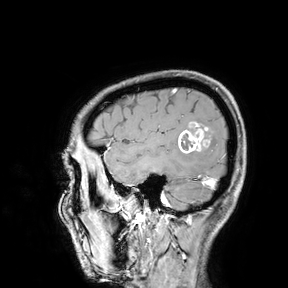
modality:
  type: brain MRI
  field_strength: 3T
study_topic: ring-enhancing brain masses